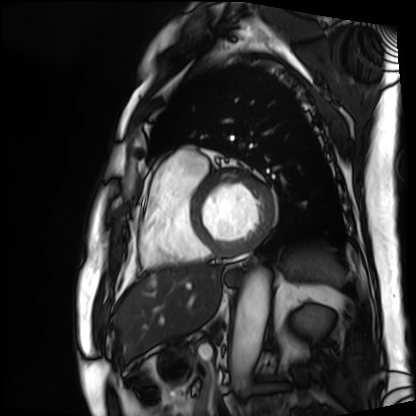
Cardiac MRI. Subject group: patient.